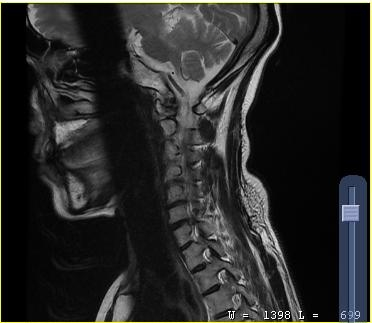
MRI of the cervical spine.
Study: cervical spondylosis.